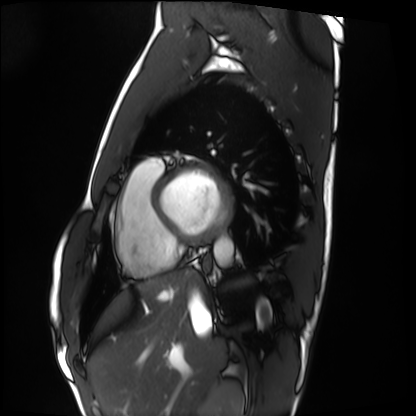
<record>
<modality>cardiac MRI</modality>
<cohort>healthy volunteer</cohort>
</record>